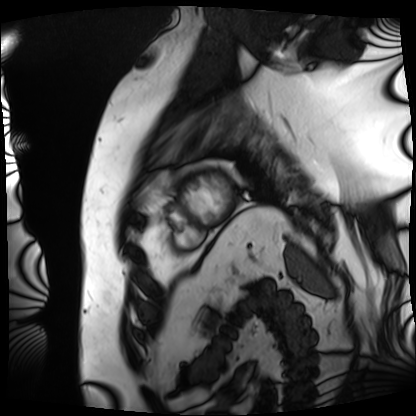
modality = cardiac MRI; subject group = patient.